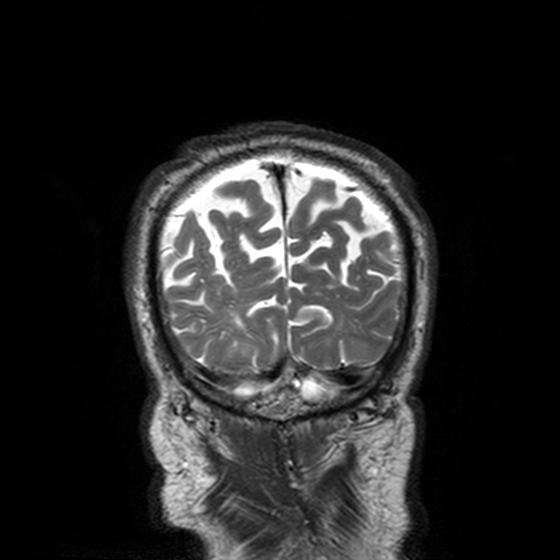
Case:
- modality: 3 Tesla brain MRI
- series: T2-weighted turbo spin echo, 3 mm
- study: ring-enhancing brain masses